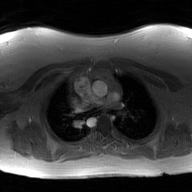
Summary:
2D phase-contrast cine MRI of the ascending aorta, GAN super-resolution reconstruction.